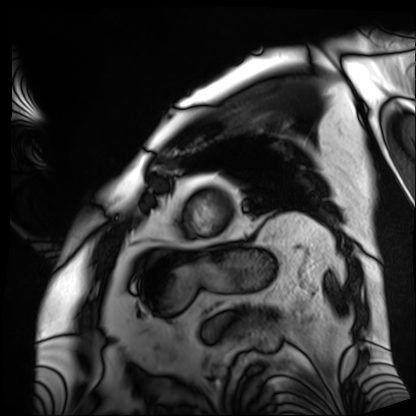
modality = cardiac MRI
subject group = patient